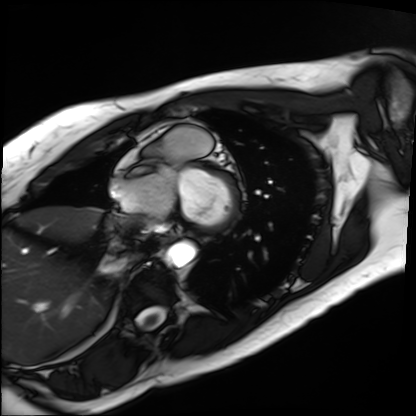
Cardiac MRI.
Subject group: patient.